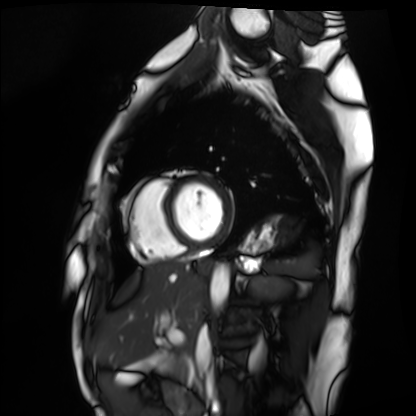
Cardiac MRI.
Subject group: healthy volunteer.